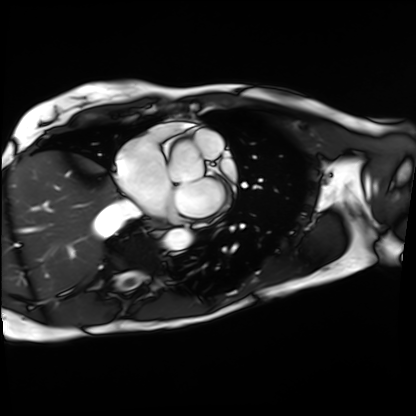
Cardiac MRI.
Subject group: patient.